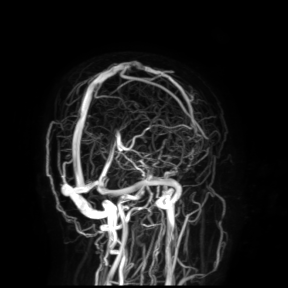
<scan>
  <modality>
    <type>brain MRI</type>
    <field_strength>3T</field_strength>
  </modality>
  <study_topic>ring-enhancing brain masses</study_topic>
</scan>